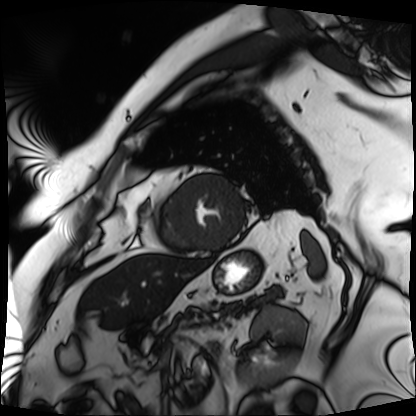
Cardiac MRI.
Subject group: patient.